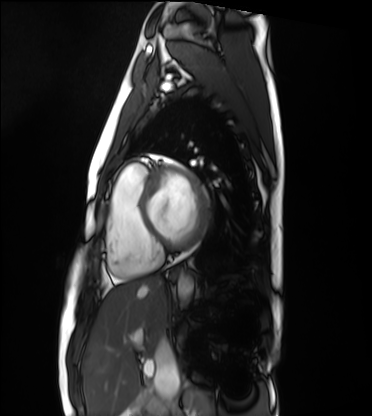
modality = cardiac MRI; subject group = healthy volunteer.